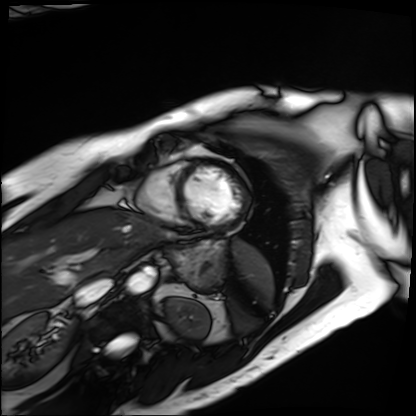
modality: cardiac MRI; subject group: patient.